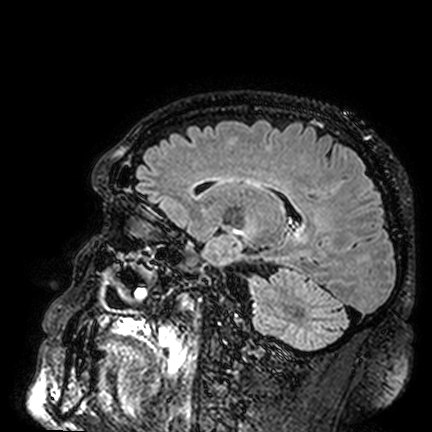
Q: What kind of scan is this?
A: 3 Tesla brain MRI.
Q: Series?
A: FLAIR VISTA.
Study: ring-enhancing brain masses.